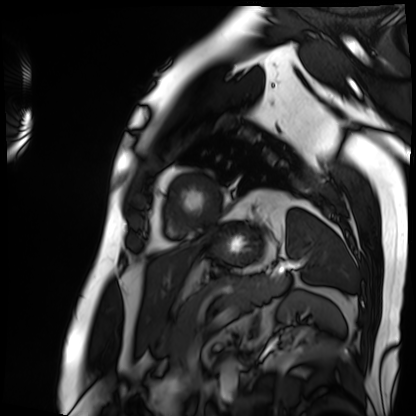
<case>
  <modality>cardiac MRI</modality>
  <cohort>patient</cohort>
</case>